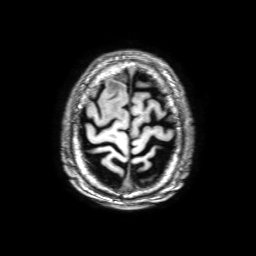
- modality — 3 Tesla brain MRI
- series — 3D T1-weighted with SENSE
- study — ring-enhancing brain masses